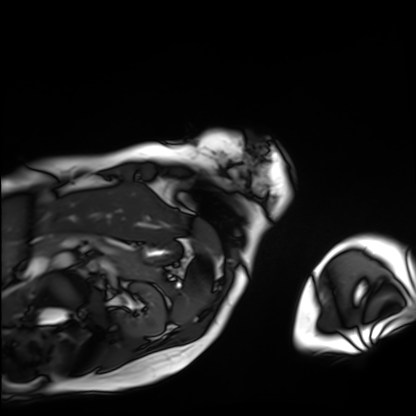
modality = cardiac MRI
subject group = patient